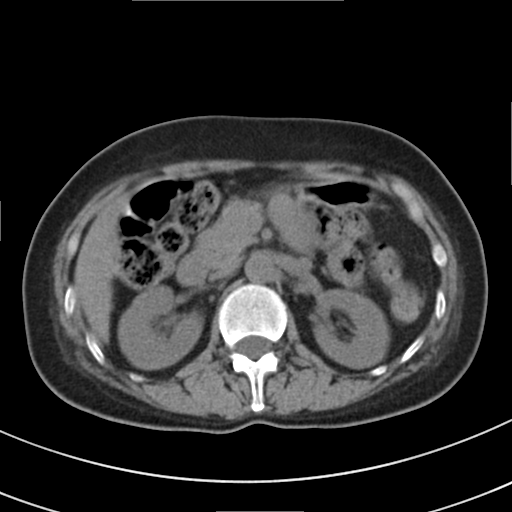
{
  "modality": {
    "type": "multiphase abdominal CT",
    "region": "liver",
    "phase": "non-contrast"
  },
  "patient": {
    "sex": "female",
    "age": 51
  },
  "history": [
    "prior chemotherapy"
  ]
}